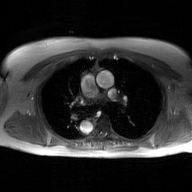
modality: 2D phase-contrast cine MRI of the ascending aorta, GAN super-resolution reconstruction.